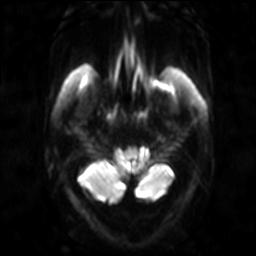
modality: 3 Tesla brain MRI | series: diffusion-weighted imaging | study: ring-enhancing brain masses.